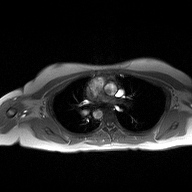
2D phase-contrast cine MRI of the ascending aorta, high-resolution GRAPPA acquisition.